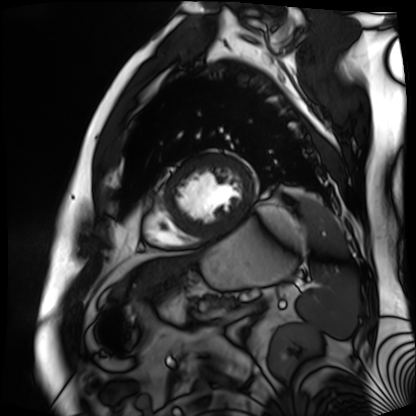
Q: What kind of scan is this?
A: Cardiac MR image of the myocardium.
Subject cohort: cardiac patient.